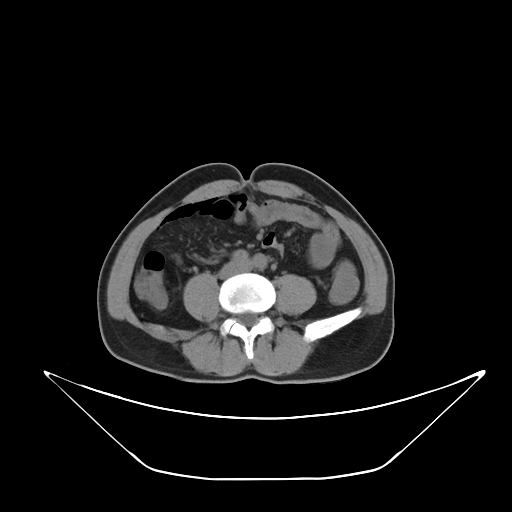
modality=multiphase abdominal CT, liver, non-contrast phase
patient=male, age 56